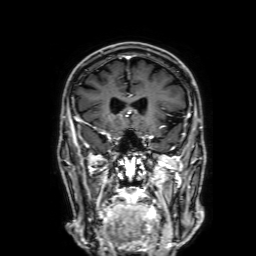
3 Tesla brain MRI. Series: 3D T1-weighted with SENSE. Study: ring-enhancing brain masses.